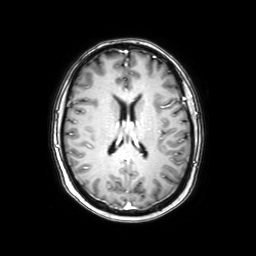
3 Tesla brain MRI. Series: axial with contrast. Study: ring-enhancing brain masses.